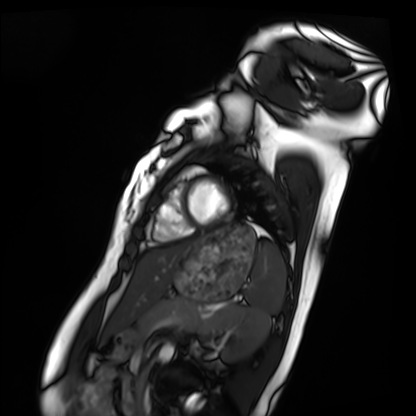
Summary:
Cardiac MRI. Subject group: healthy volunteer.